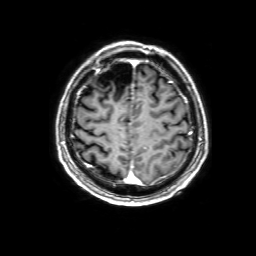
Summary:
3 Tesla brain MRI. Series: 3D T1-weighted with SENSE. Study: ring-enhancing brain masses.